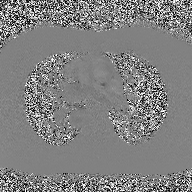
  modality:
    type: 2D phase-contrast cine MRI
    region: ascending aorta
    reconstruction: high-resolution GRAPPA acquisition